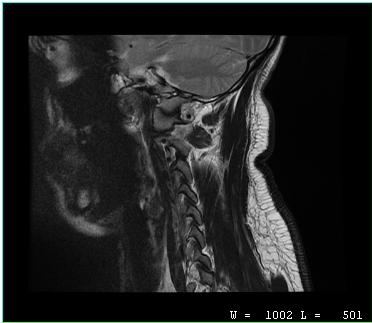
Clinical context:
MRI of the cervical spine. Study: cervical spondylosis.